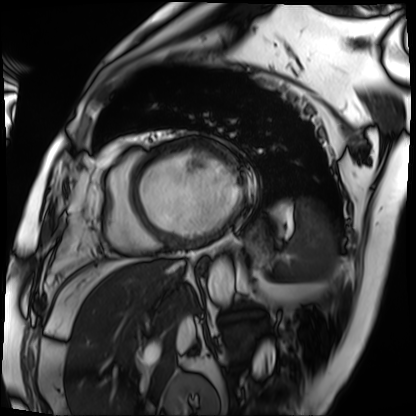
modality=cardiac MRI; subject group=patient.